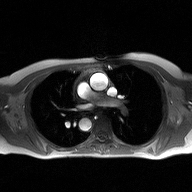
modality: 2D phase-contrast cine MRI of the ascending aorta